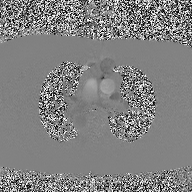
2D phase-contrast cine MRI of the ascending aorta, high-resolution GRAPPA acquisition.